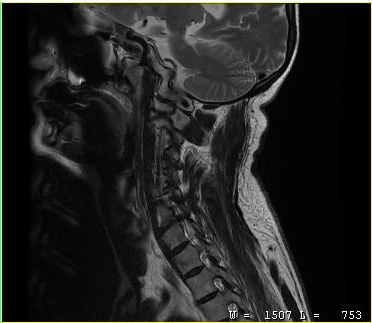
MRI of the cervical spine. Study: cervical spondylosis.